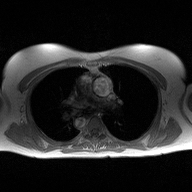
Summary: 2D phase-contrast cine MRI of the ascending aorta, high-resolution GRAPPA acquisition.